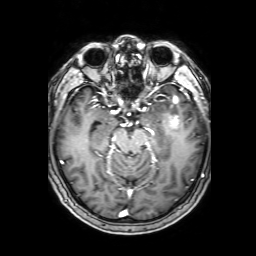
Case summary:
3 Tesla brain MRI. Series: 3D T1-weighted with SENSE. Study: ring-enhancing brain masses.